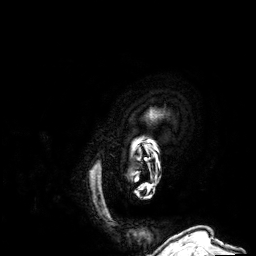
| field | value |
|---|---|
| modality | 3 Tesla brain MRI |
| series | 3D T1-weighted |
| study | ring-enhancing brain masses |